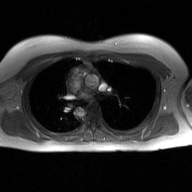
| field | value |
|---|---|
| modality | 2D phase-contrast cine MRI of the ascending aorta, GAN super-resolution reconstruction |